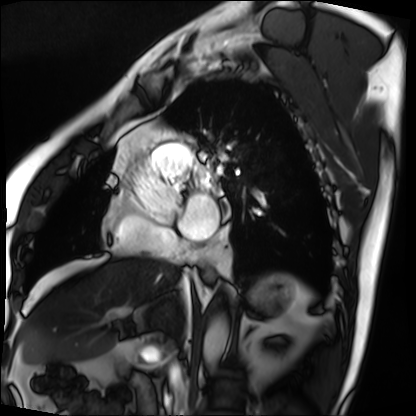
• modality · cardiac MRI
• subject group · patient